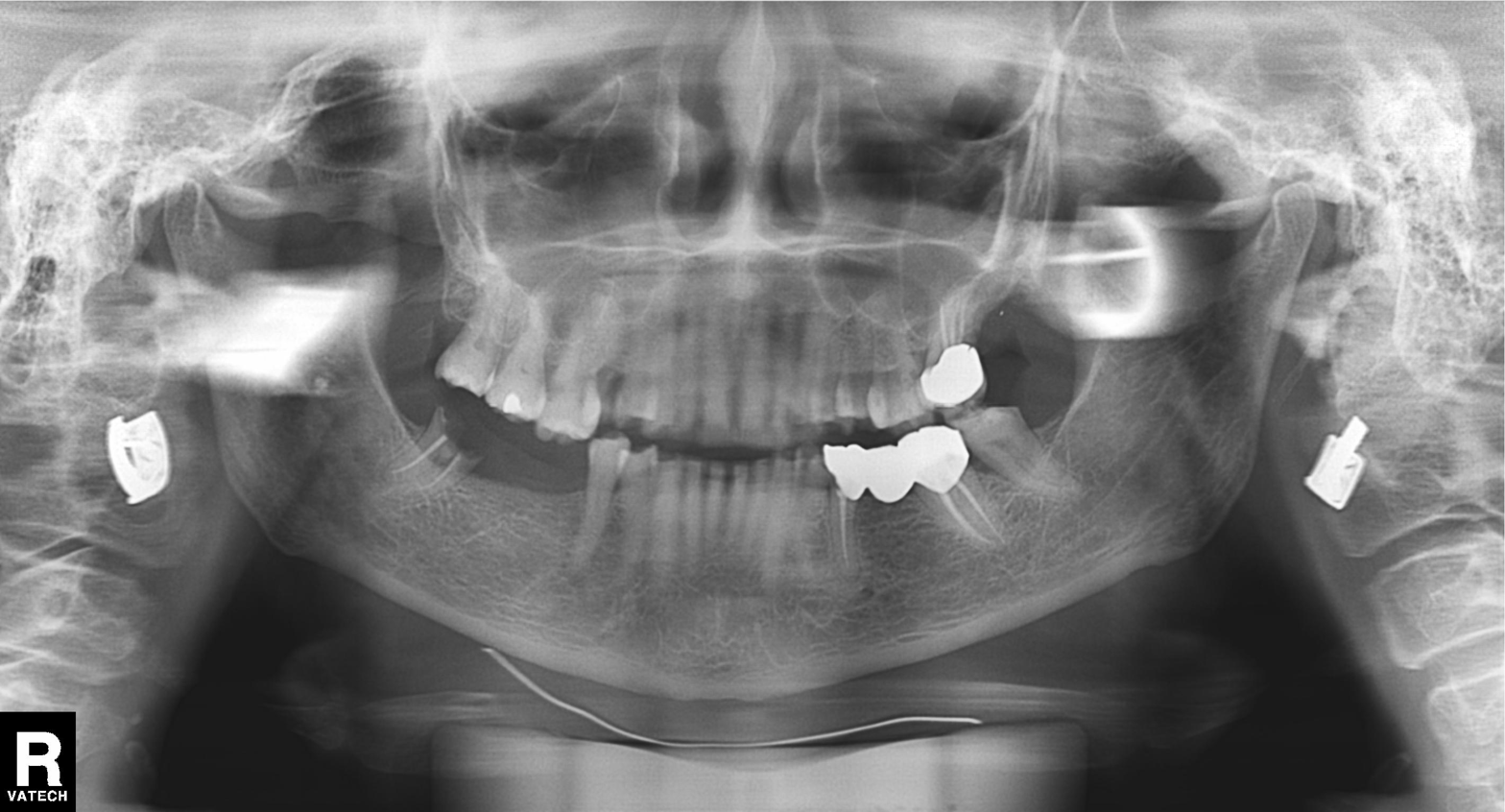
Findings:
- modality — panoramic dental radiograph (orthopantomogram)
- finding — tooth impaction